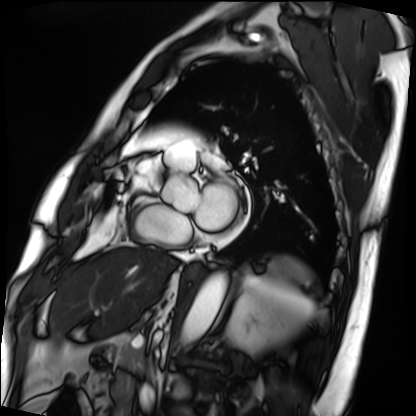
• modality: cardiac MRI
• subject group: patient